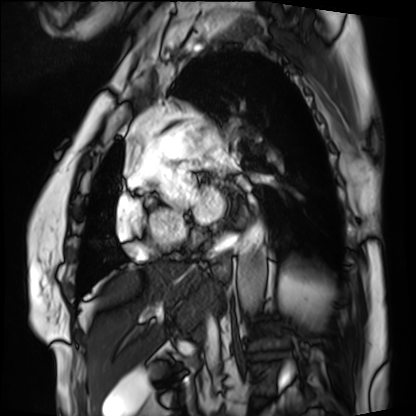
Cardiac MRI. Subject group: patient.